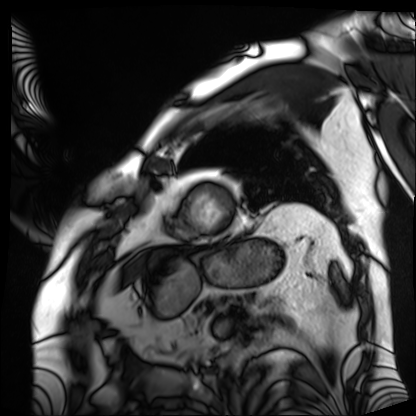
Cardiac MRI. Subject group: patient.